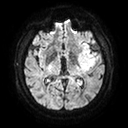
modality = 3 Tesla brain MRI; series = diffusion tensor imaging (medium iso); study = ring-enhancing brain masses.